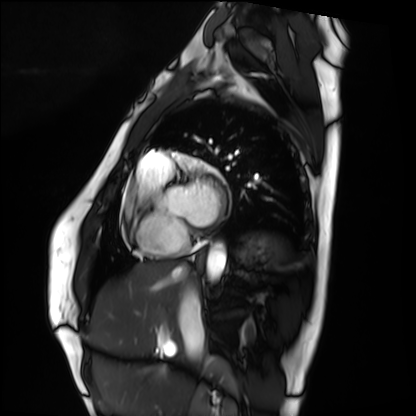
Cardiac MRI.
Subject group: healthy volunteer.